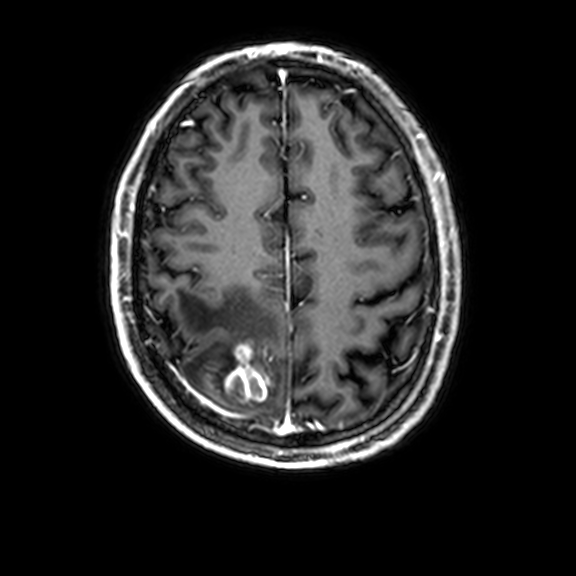
| field | value |
|---|---|
| modality | 3 Tesla brain MRI |
| series | 3D T1-weighted with CLEAR |
| study | ring-enhancing brain masses |